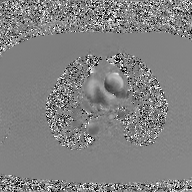
modality=2D phase-contrast cine MRI of the ascending aorta, GAN super-resolution reconstruction.